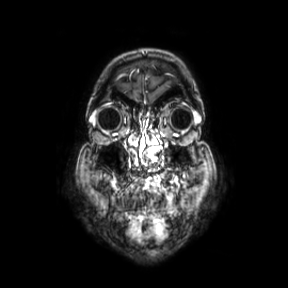
3 Tesla brain MRI. Series: coronal. Study: ring-enhancing brain masses.